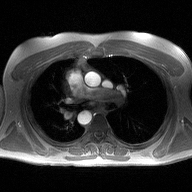
2D phase-contrast cine MRI of the ascending aorta, high-resolution GRAPPA acquisition.